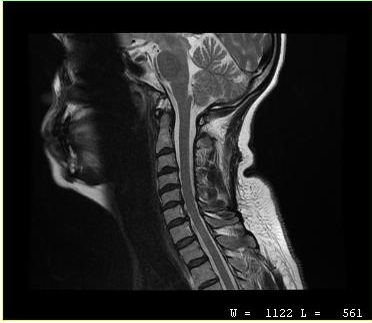
MRI of the cervical spine.
Study: cervical spondylosis.